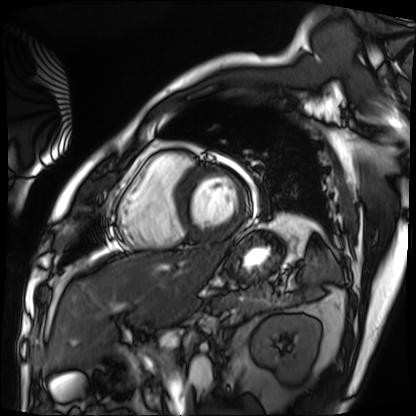
Cardiac MRI.
Subject group: patient.